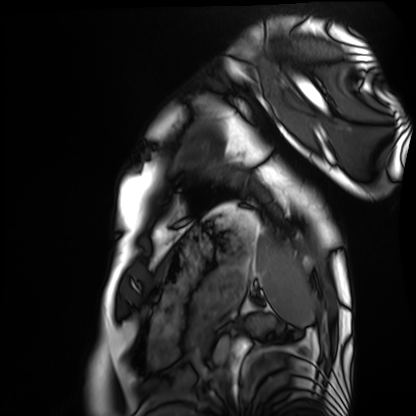
Q: What kind of scan is this?
A: Cardiac MRI.
Subject group: healthy volunteer.